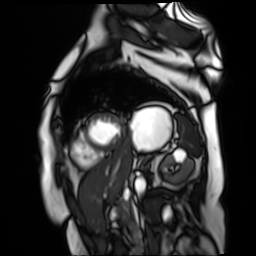
modality: cardiac MR image of the myocardium
cohort: cardiac patient